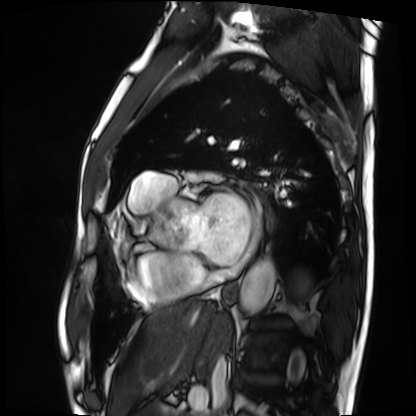
Q: What kind of scan is this?
A: Cardiac MRI.
Subject group: patient.